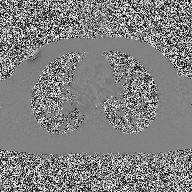
{
  "modality": {
    "type": "2D phase-contrast cine MRI",
    "region": "ascending aorta",
    "reconstruction": "high-resolution GRAPPA acquisition"
  }
}